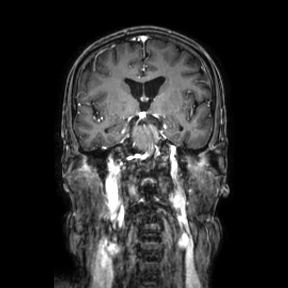
3 Tesla brain MRI. Series: coronal. Study: ring-enhancing brain masses.